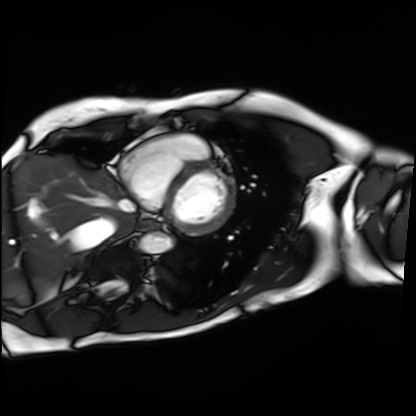
<study>
<modality>cardiac MRI</modality>
<cohort>patient</cohort>
</study>